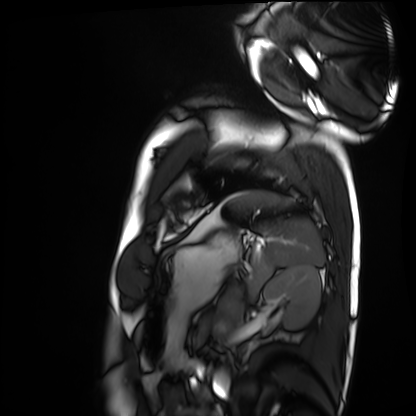
Clinical context: Cardiac MRI. Subject group: healthy volunteer.